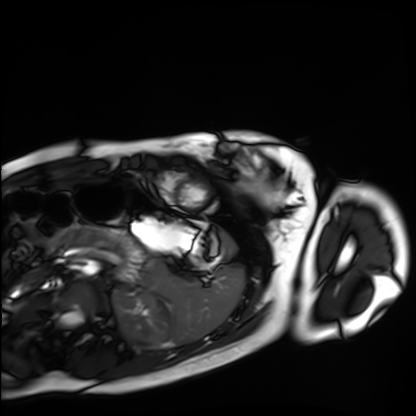
| field | value |
|---|---|
| modality | cardiac MRI |
| subject group | healthy volunteer |